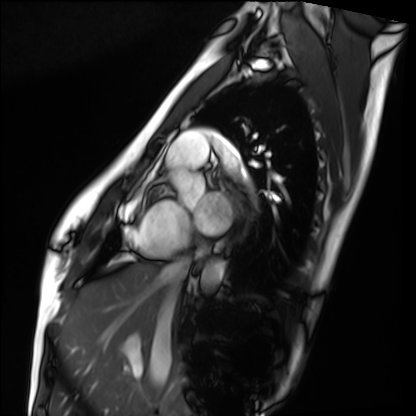
Cardiac MRI.
Subject group: healthy volunteer.